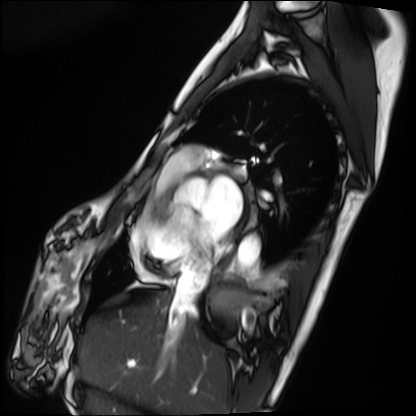
Cardiac MRI. Subject group: patient.